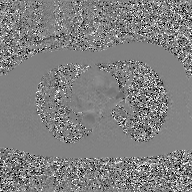
{"modality": {"type": "2D phase-contrast cine MRI", "region": "ascending aorta", "reconstruction": "GAN super-resolution reconstruction"}}